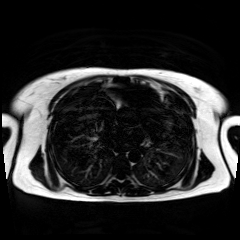
Chemical-shift-encoded cardiac MRI.